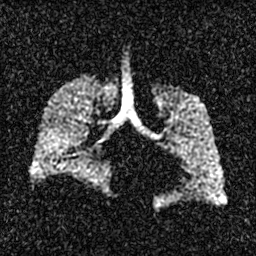
modality: hyperpolarized 129Xe ventilation MRI of the lungs, SNR level: 3 of 8 (the deposit holds this scan as its native image and as seven SNR-degraded versions).